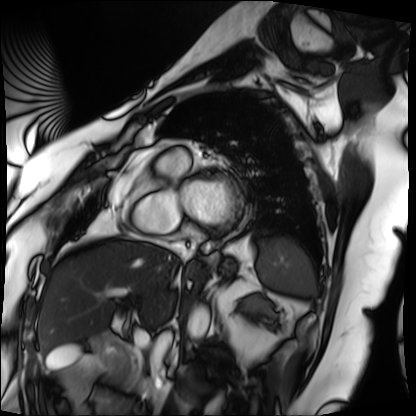
modality: cardiac MRI
cohort: patient